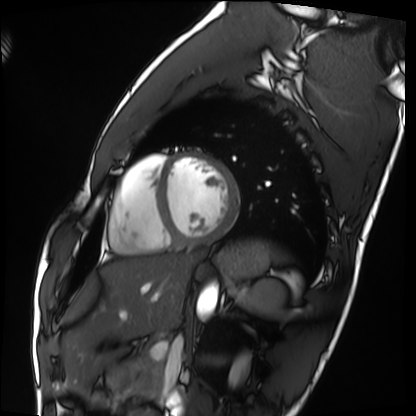
Cardiac MRI.
Subject group: healthy volunteer.